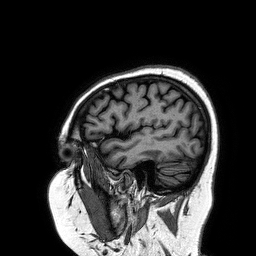
Q: What kind of scan is this?
A: 3 Tesla brain MRI.
Q: Series?
A: 3D T1-weighted turbo field echo.
Study: ring-enhancing brain masses.